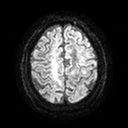
modality — 3 Tesla brain MRI
study — ring-enhancing brain masses